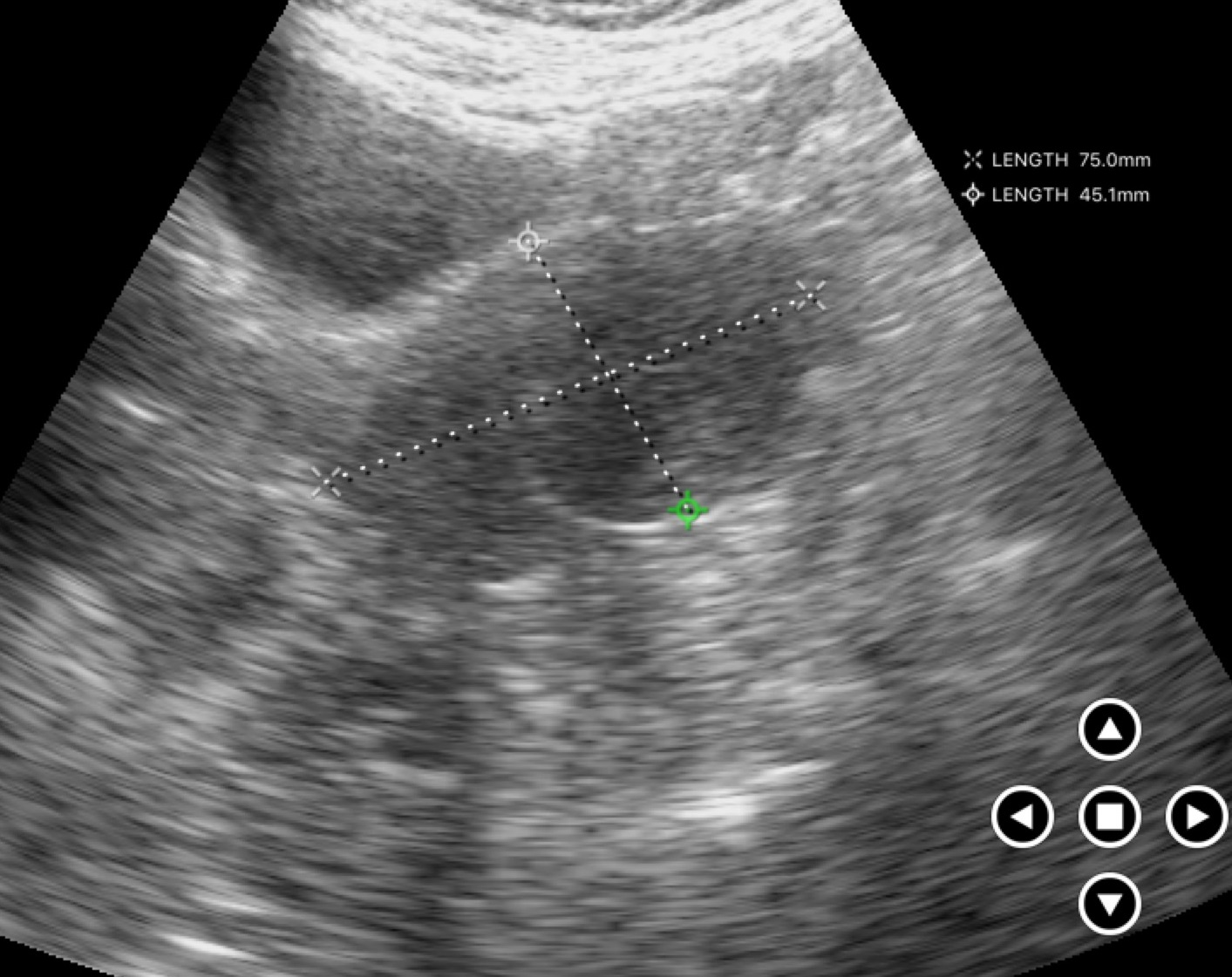
Case:
• modality · genitourinary ultrasound